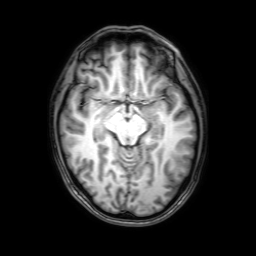
3 Tesla brain MRI. Series: 3D T1-weighted with SENSE. Study: ring-enhancing brain masses.